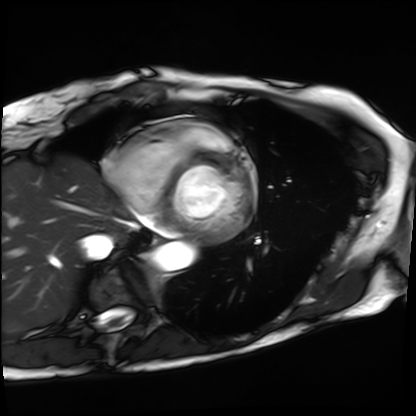
Q: What kind of scan is this?
A: Cardiac MRI.
Subject group: patient.